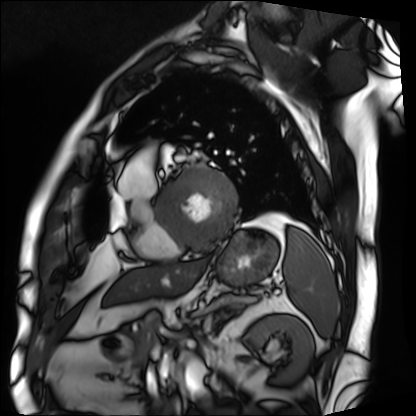
Cardiac MRI.
Subject group: patient.